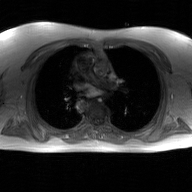
Clinical context:
2D phase-contrast cine MRI of the ascending aorta, GAN super-resolution reconstruction.